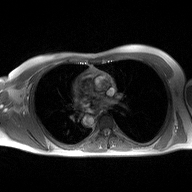
Case:
* modality — 2D phase-contrast cine MRI of the ascending aorta